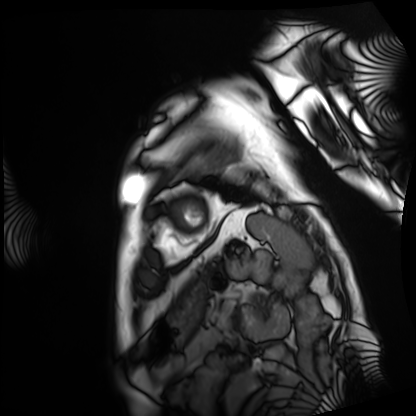
<scan>
  <modality>cardiac MRI</modality>
  <cohort>patient</cohort>
</scan>